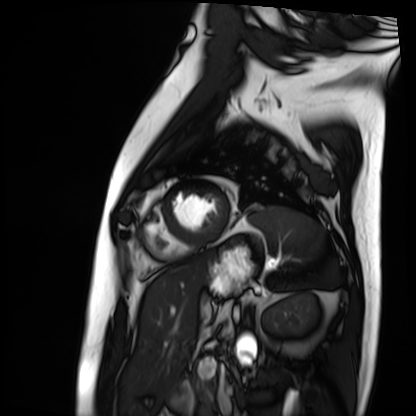
Cardiac MRI.
Subject group: patient.